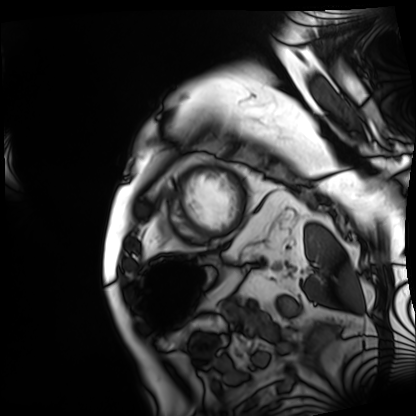
{"modality": "cardiac MRI", "cohort": "patient"}